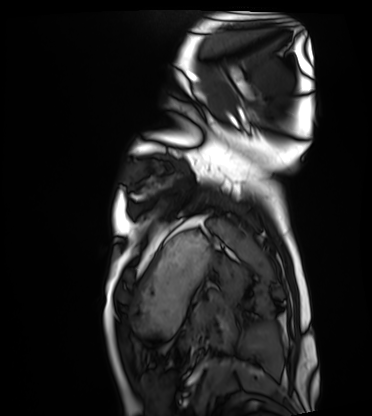
modality: cardiac MRI
subject group: healthy volunteer